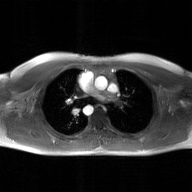
<case>
<modality>
  <type>2D phase-contrast cine MRI</type>
  <region>ascending aorta</region>
  <reconstruction>GAN super-resolution reconstruction</reconstruction>
</modality>
</case>